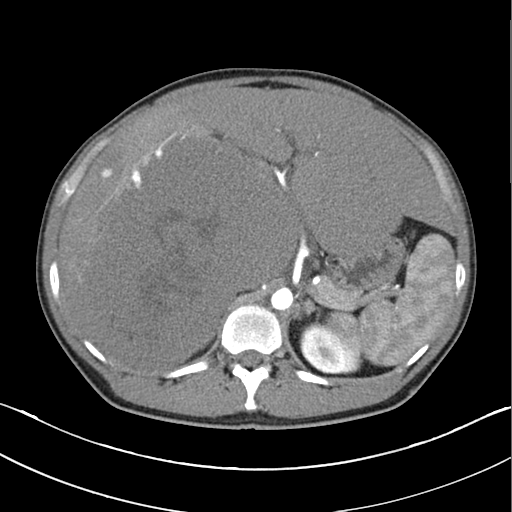
Clinical context: Multiphase abdominal CT, liver, arterial phase. Patient: male, age 45.